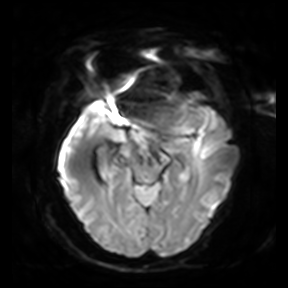
| field | value |
|---|---|
| modality | 3 Tesla brain MRI |
| series | diffusion-weighted imaging |
| study | ring-enhancing brain masses |